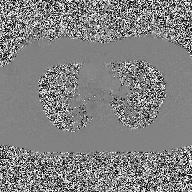
2D phase-contrast cine MRI of the ascending aorta, high-resolution GRAPPA acquisition.